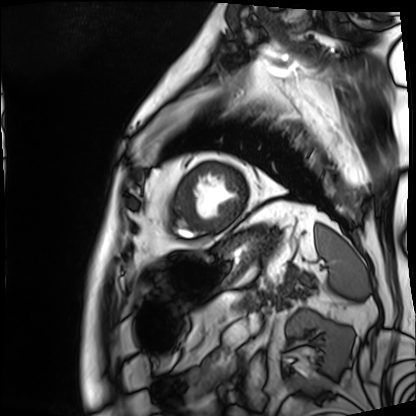
Cardiac MRI.
Subject group: patient.